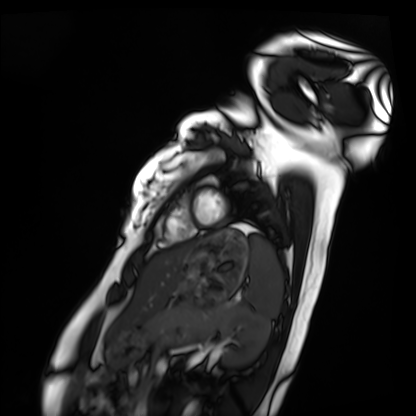
Summary:
Cardiac MRI. Subject group: healthy volunteer.